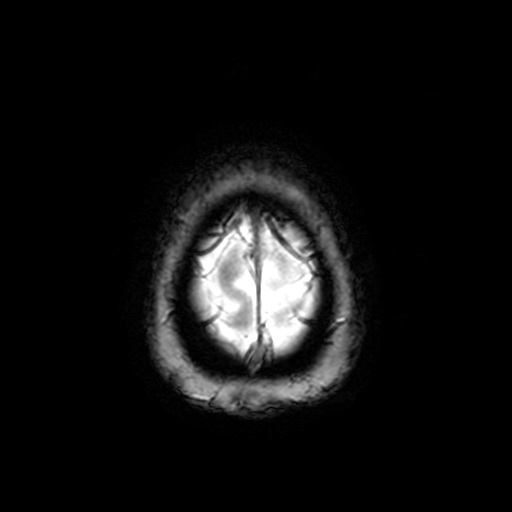
modality: 3 Tesla brain MRI
series: T2-weighted fast field echo
study: ring-enhancing brain masses